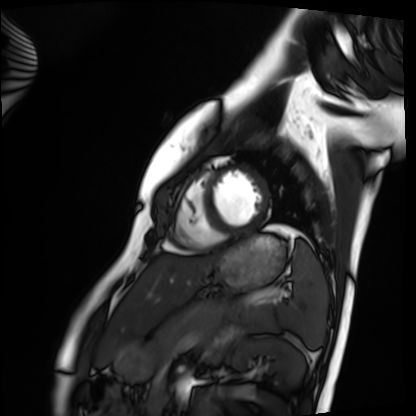
Cardiac MRI.
Subject group: healthy volunteer.